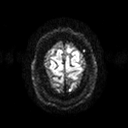
3 Tesla brain MRI.
Study: ring-enhancing brain masses.